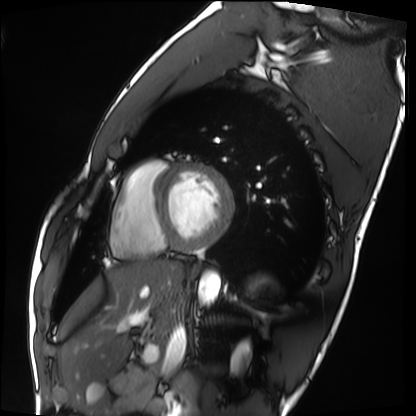
| field | value |
|---|---|
| modality | cardiac MRI |
| subject group | healthy volunteer |